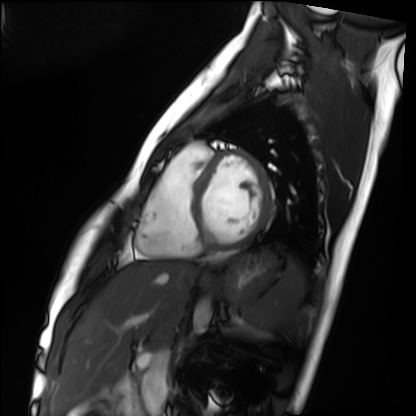
Q: What kind of scan is this?
A: Cardiac MRI.
Subject group: healthy volunteer.